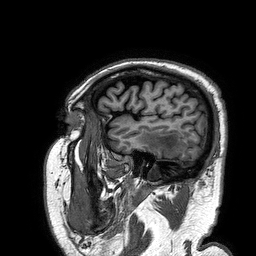
3 Tesla brain MRI.
Series: 3D T1-weighted turbo field echo.
Study: ring-enhancing brain masses.